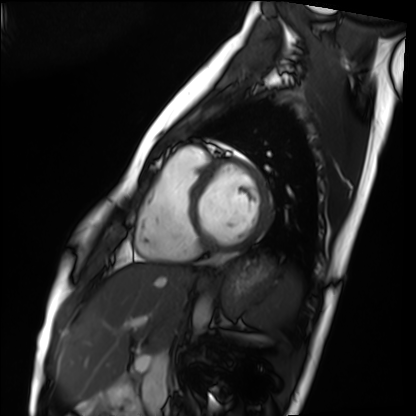
Cardiac MRI. Subject group: healthy volunteer.